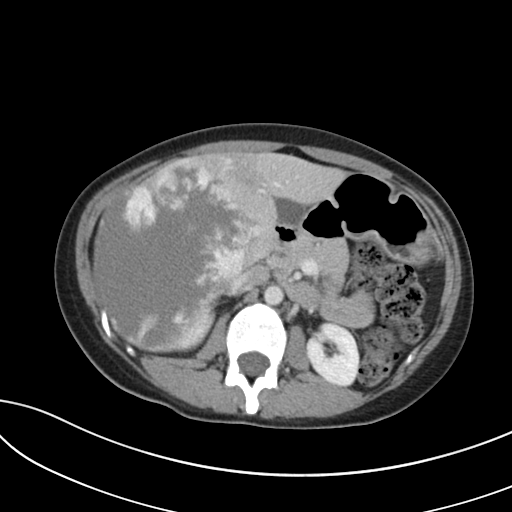
Q: What kind of scan is this?
A: Multiphase abdominal CT, liver, portal venous phase.
Q: Patient?
A: Male, age 35.